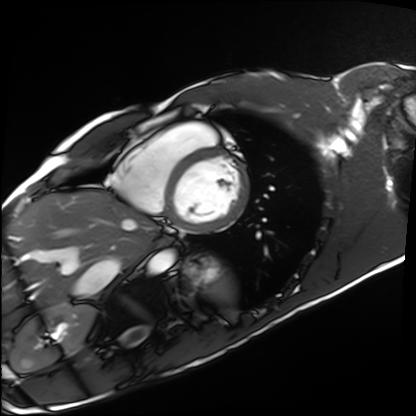
modality: cardiac MRI
cohort: healthy volunteer